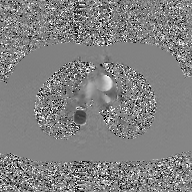
{"modality": {"type": "2D phase-contrast cine MRI", "region": "ascending aorta", "reconstruction": "GAN super-resolution reconstruction"}}